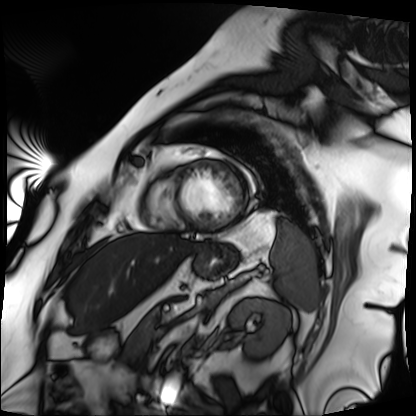
Cardiac MRI. Subject group: patient.